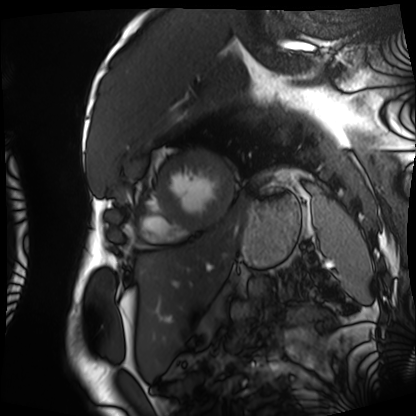
{
  "modality": "cardiac MRI",
  "cohort": "patient"
}